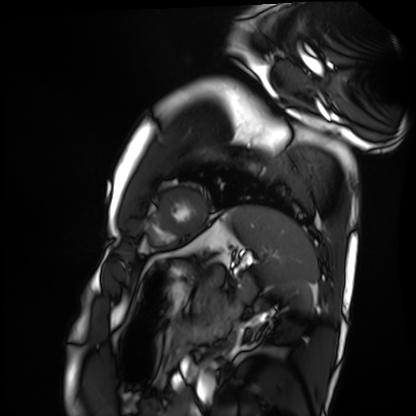
<scan>
  <modality>cardiac MRI</modality>
  <cohort>healthy volunteer</cohort>
</scan>